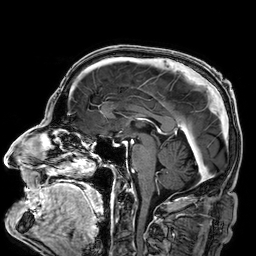
3 Tesla brain MRI. Series: 3D T1-weighted. Study: ring-enhancing brain masses.